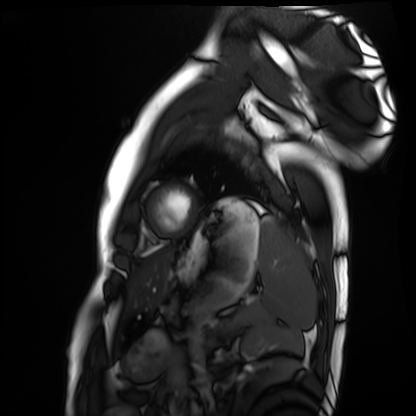
Cardiac MRI. Subject group: healthy volunteer.